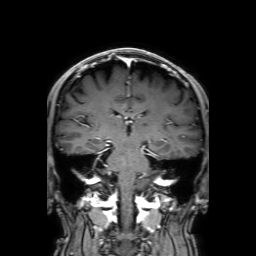
Summary:
3 Tesla brain MRI. Series: 3D T1-weighted with SENSE. Study: ring-enhancing brain masses.